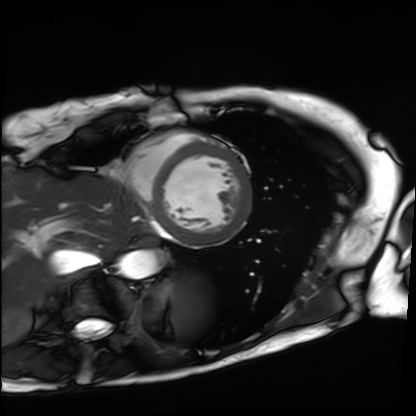
Cardiac MRI.
Subject group: patient.